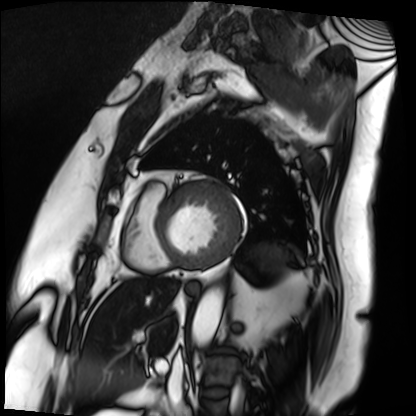
Case:
– modality: cardiac MRI
– subject group: patient